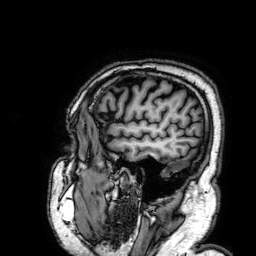
Case:
- modality: 3 Tesla brain MRI
- series: 3D T1-weighted
- study: ring-enhancing brain masses